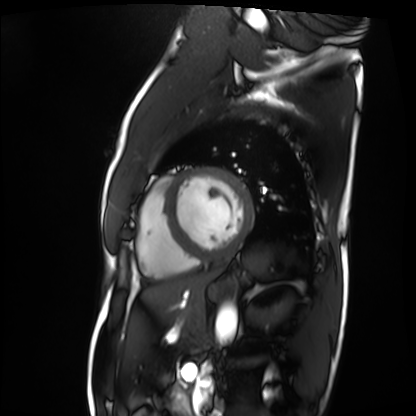
Cardiac MRI. Subject group: patient.